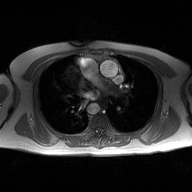
Q: What kind of scan is this?
A: 2D phase-contrast cine MRI of the ascending aorta.